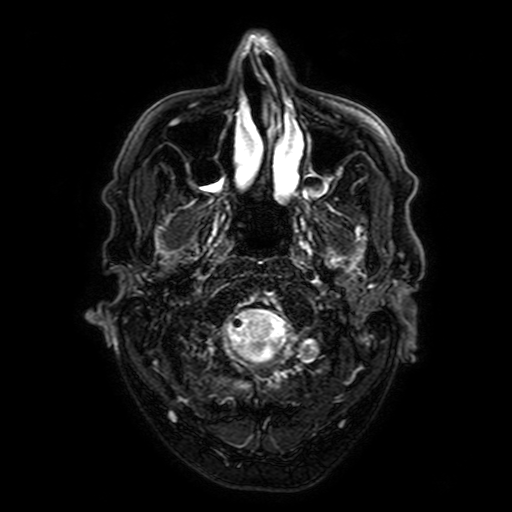
modality — 3 Tesla brain MRI
series — FLAIR with SPAIR, 3 mm
study — ring-enhancing brain masses